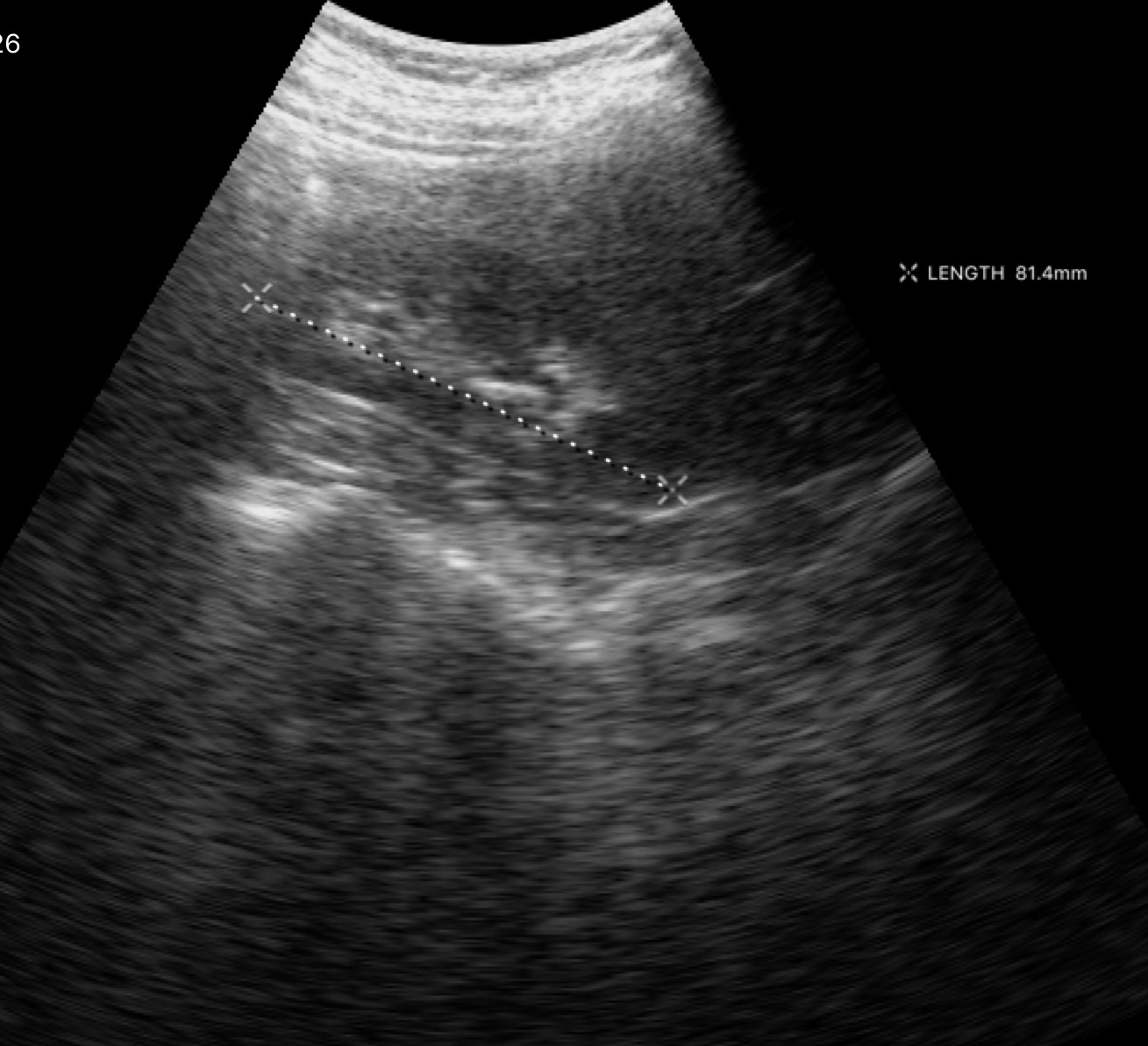
Summary: Genitourinary ultrasound.